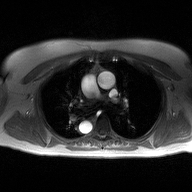
Q: What kind of scan is this?
A: 2D phase-contrast cine MRI of the ascending aorta.